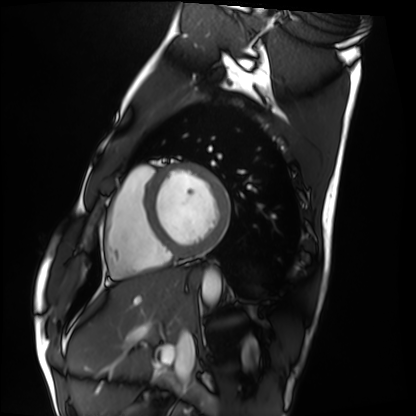
Cardiac MRI.
Subject group: healthy volunteer.